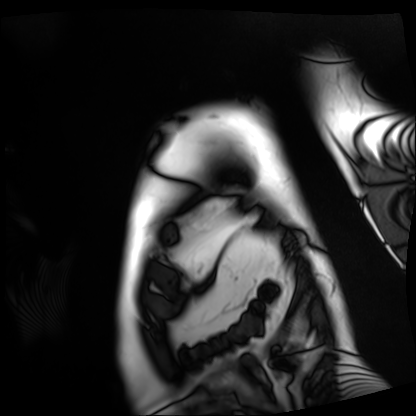
Q: What kind of scan is this?
A: Cardiac MRI.
Subject group: patient.